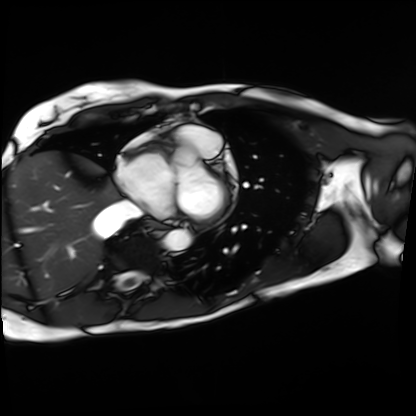
Case:
• modality · cardiac MRI
• subject group · patient